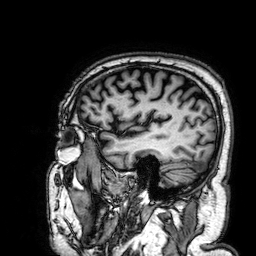
Q: What kind of scan is this?
A: 3 Tesla brain MRI.
Q: Series?
A: 3D T1-weighted.
Study: ring-enhancing brain masses.